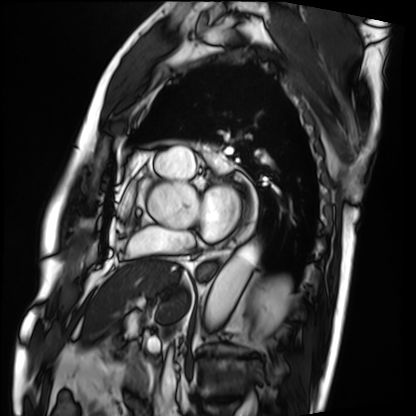
{"modality": "cardiac MRI", "cohort": "patient"}